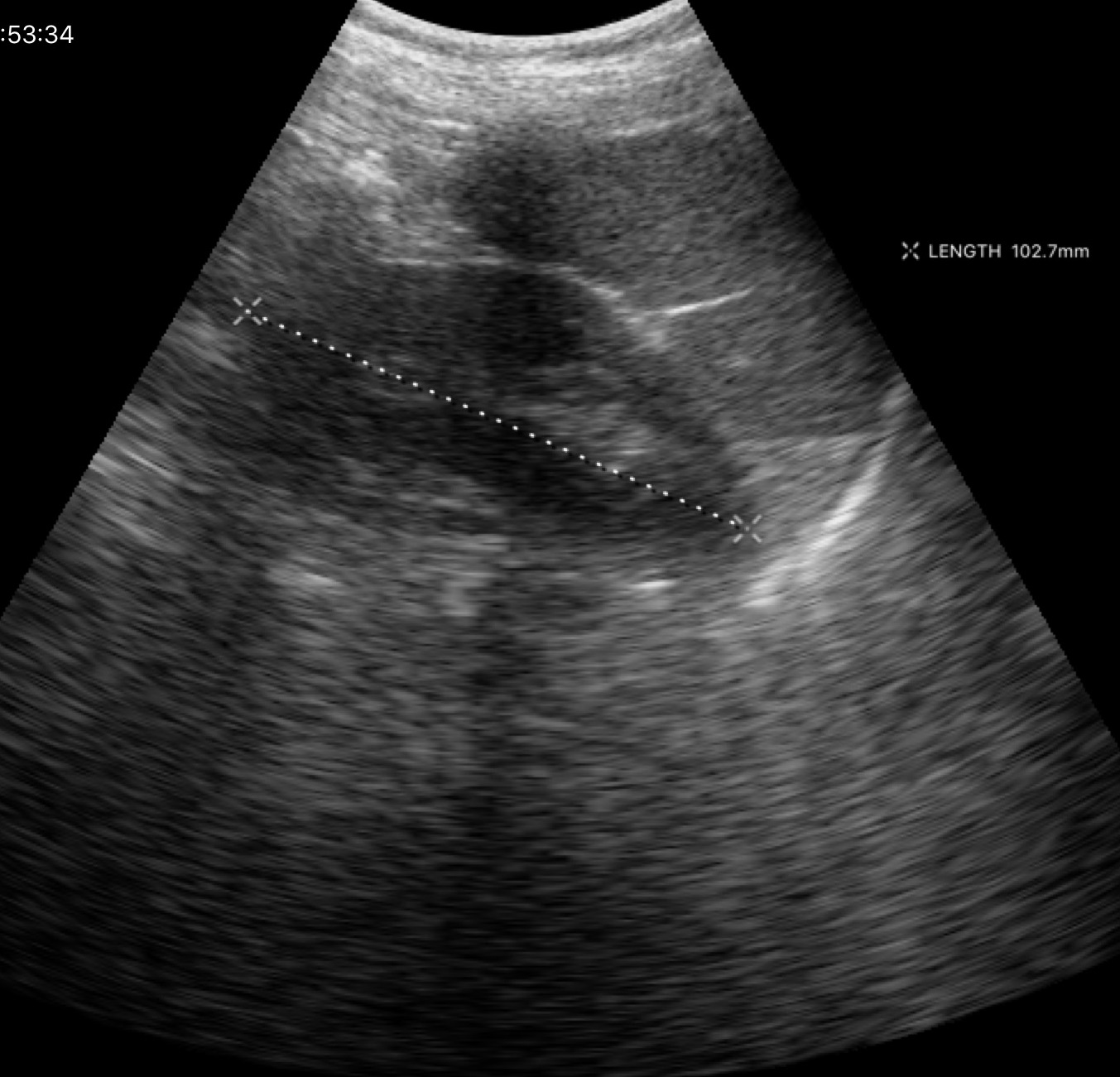
Genitourinary ultrasound.